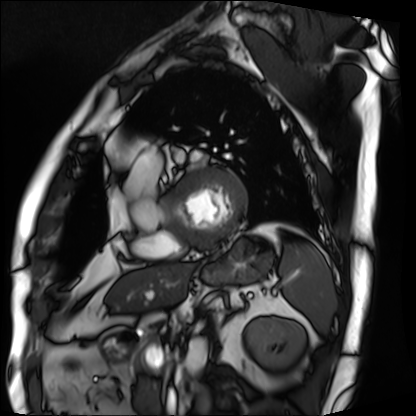
<study>
<modality>cardiac MRI</modality>
<cohort>patient</cohort>
</study>